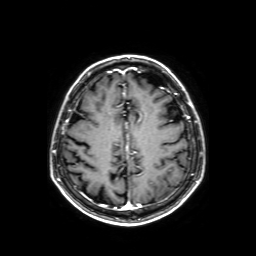
Case summary: 3 Tesla brain MRI. Series: axial T1-weighted fusion image. Study: ring-enhancing brain masses.